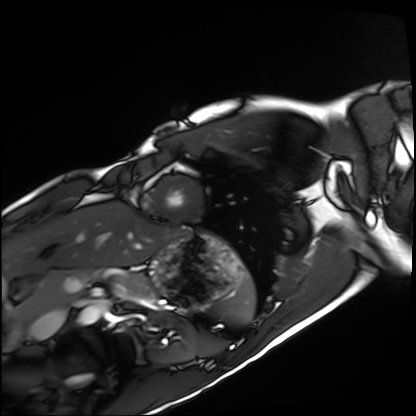
Case summary:
Cardiac MRI. Subject group: healthy volunteer.